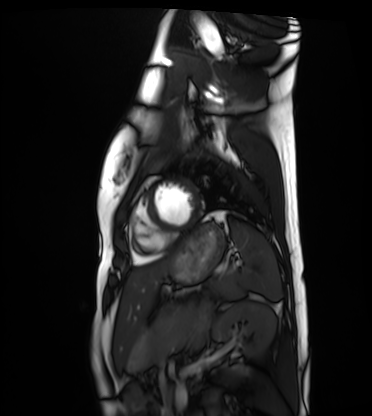
{"modality": "cardiac MRI", "cohort": "healthy volunteer"}